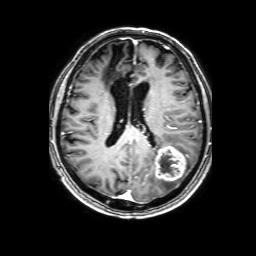
Case summary: 3 Tesla brain MRI. Series: 3D T1-weighted with SENSE. Study: ring-enhancing brain masses.